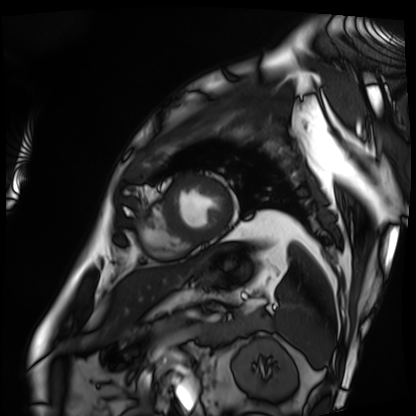
{"modality": "cardiac MRI", "cohort": "patient"}